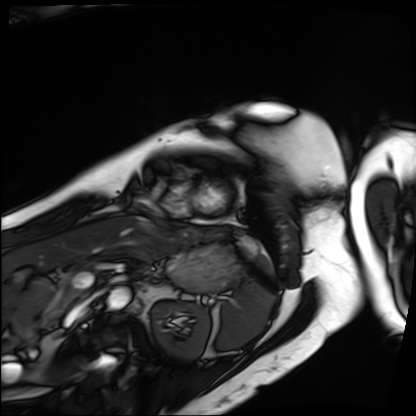
Cardiac MRI. Subject group: patient.